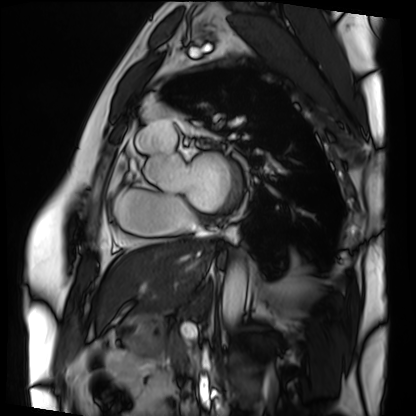
Q: What kind of scan is this?
A: Cardiac MRI.
Subject group: patient.